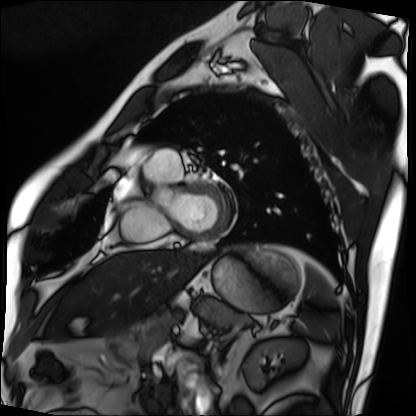
modality = cardiac MRI, subject group = patient.